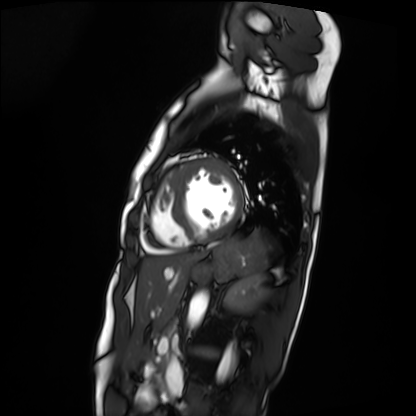
Cardiac MRI.
Subject group: patient.